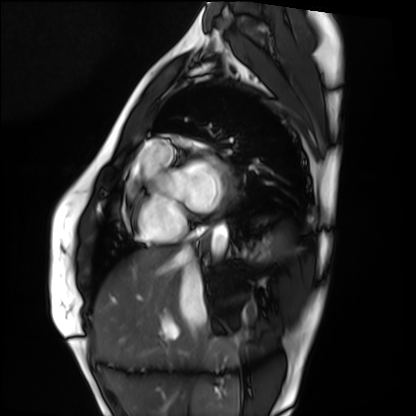
Cardiac MRI. Subject group: healthy volunteer.